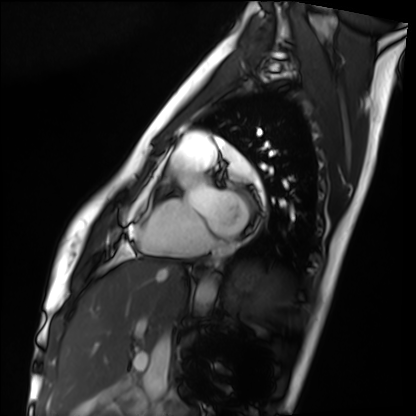
Case:
– modality: cardiac MRI
– subject group: healthy volunteer